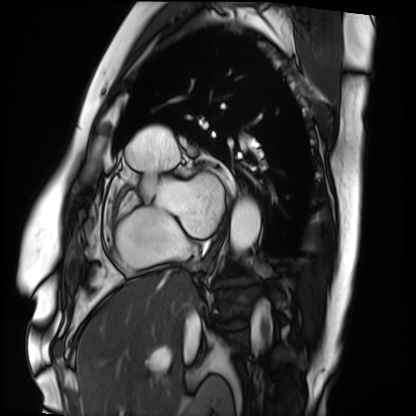
{"modality": "cardiac MRI", "cohort": "patient"}